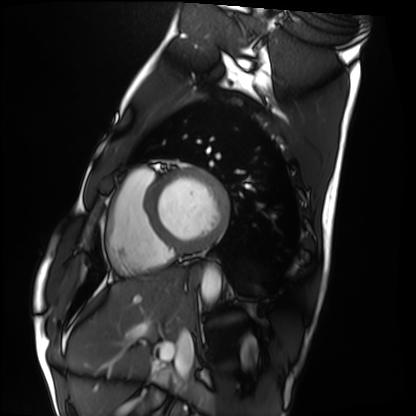
Q: What kind of scan is this?
A: Cardiac MRI.
Subject group: healthy volunteer.